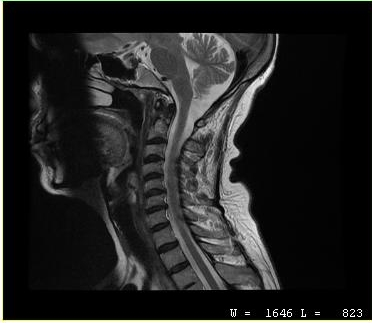
<record>
<modality>
  <type>cervical spine MRI</type>
</modality>
<study_topic>cervical spondylosis</study_topic>
</record>